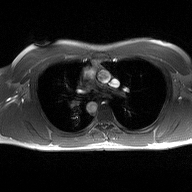
Case summary:
2D phase-contrast cine MRI of the ascending aorta, high-resolution GRAPPA acquisition.